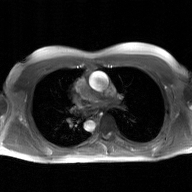
{"modality": {"type": "2D phase-contrast cine MRI", "region": "ascending aorta", "reconstruction": "GAN super-resolution reconstruction"}}